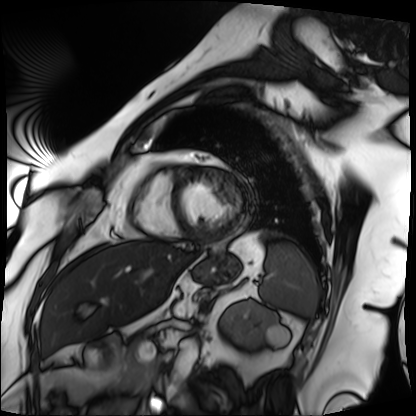
Cardiac MRI.
Subject group: patient.